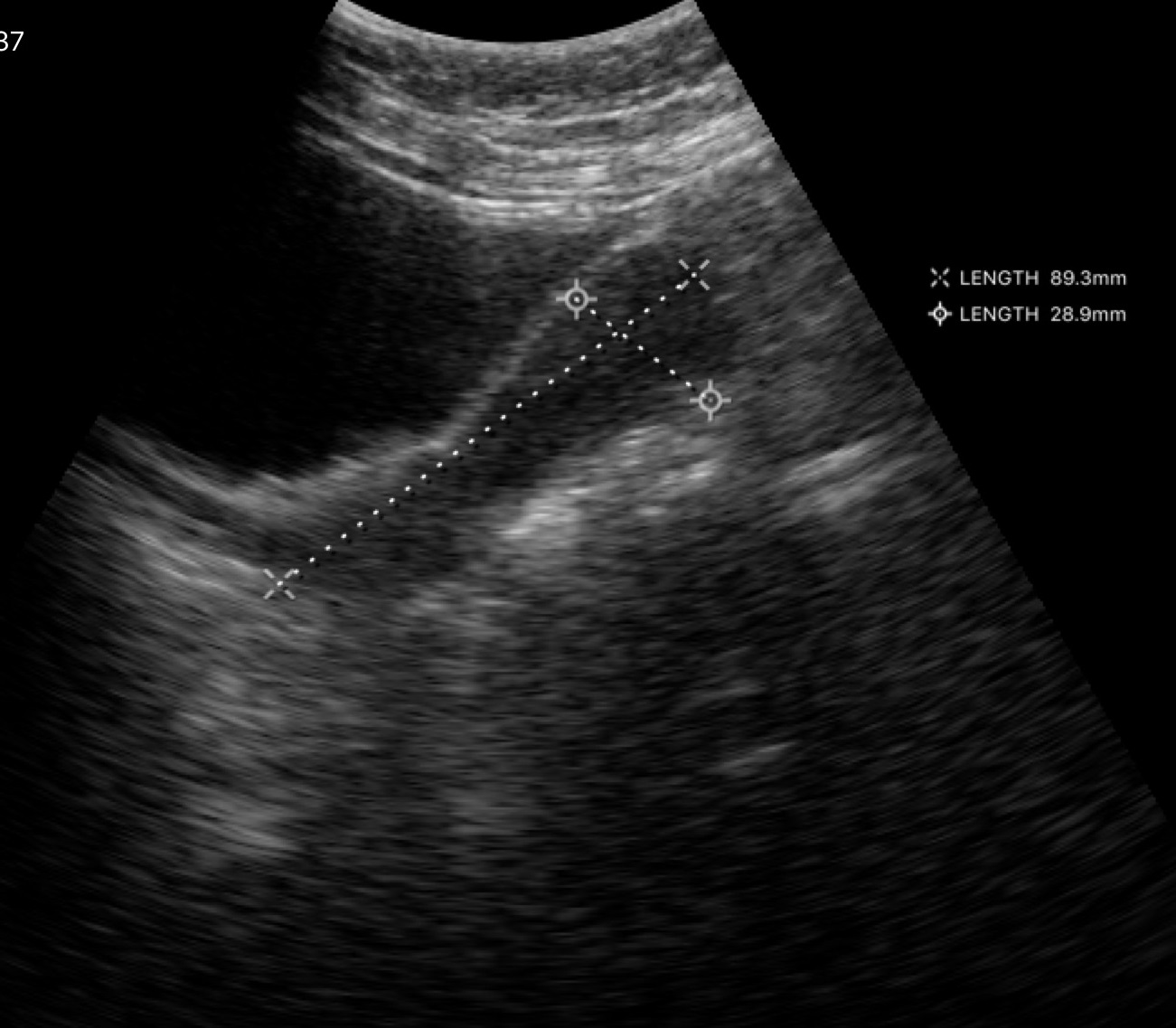
Summary: Genitourinary ultrasound.